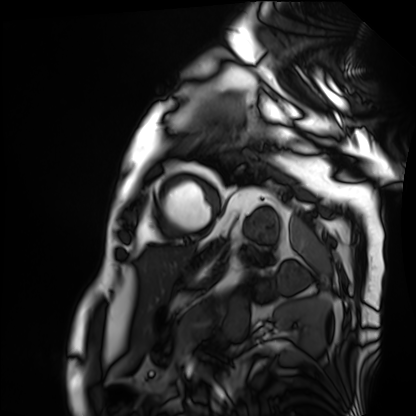
- modality — cardiac MRI
- subject group — patient